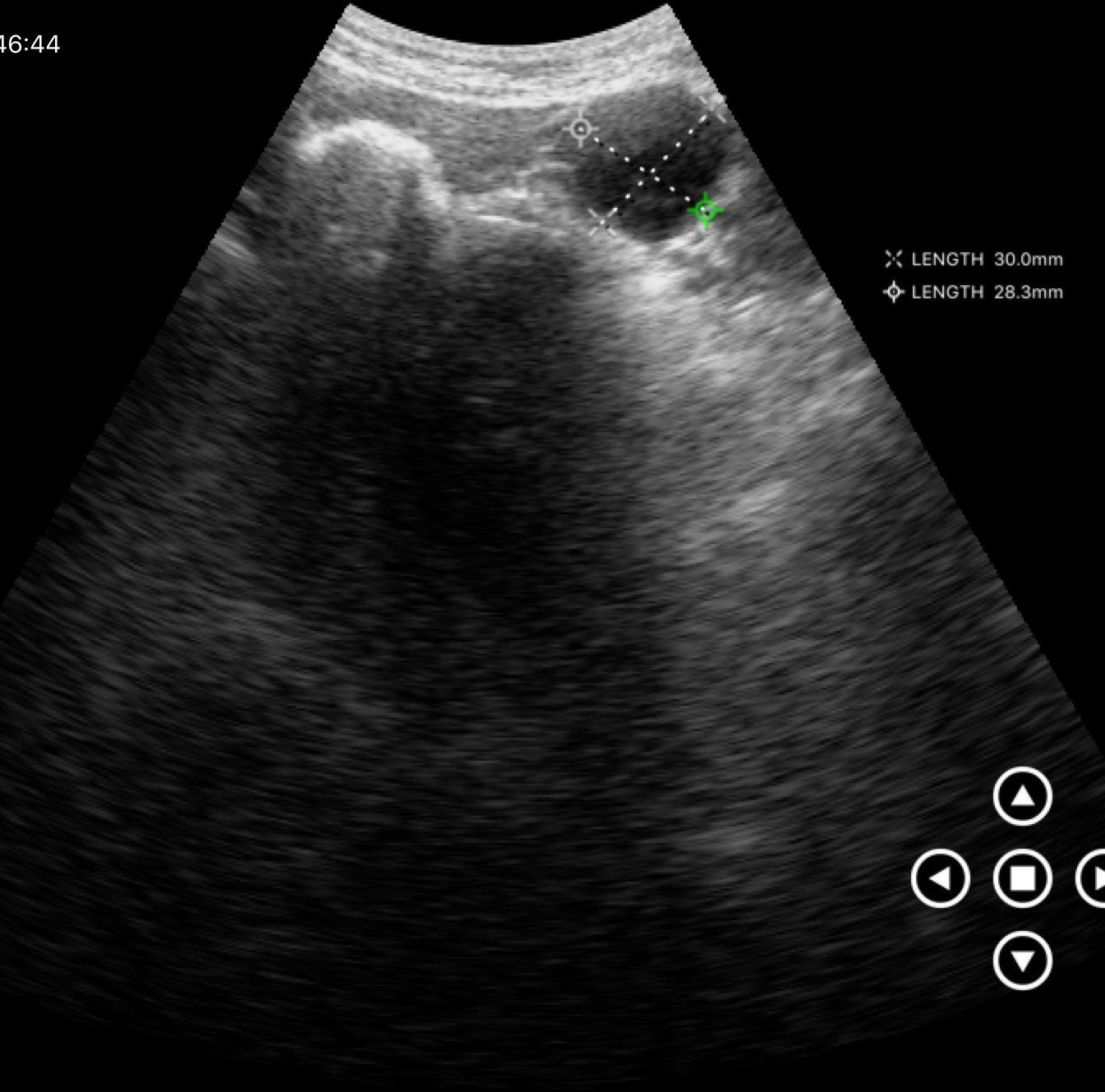
modality: genitourinary ultrasound.